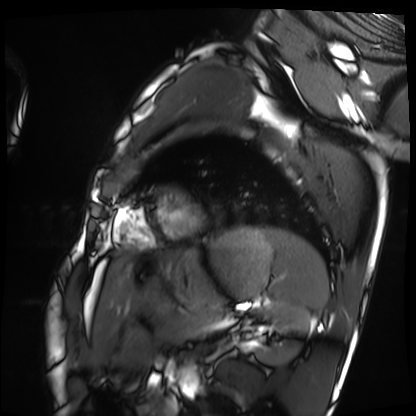
Cardiac MRI.
Subject group: healthy volunteer.